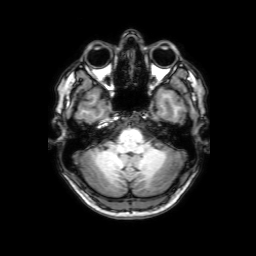
3 Tesla brain MRI. Series: 3D T1-weighted with SENSE. Study: ring-enhancing brain masses.